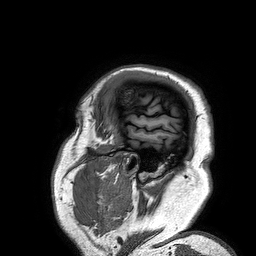
Case summary:
3 Tesla brain MRI. Series: 3D T1-weighted turbo field echo. Study: ring-enhancing brain masses.